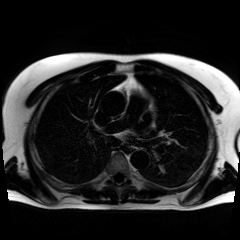
Chemical-shift-encoded cardiac MRI.